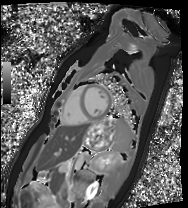
Cardiac MRI. Subject group: healthy volunteer.